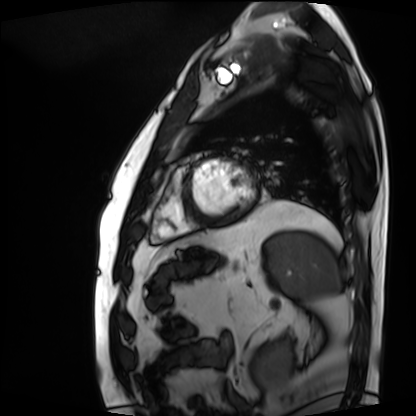
| field | value |
|---|---|
| modality | cardiac MRI |
| subject group | patient |